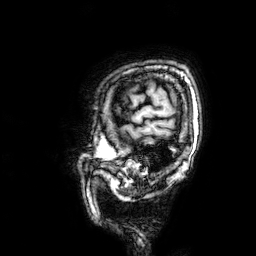
{"modality": {"type": "brain MRI", "field_strength": "3T"}, "series": "3D T1-weighted", "study_topic": "ring-enhancing brain masses"}